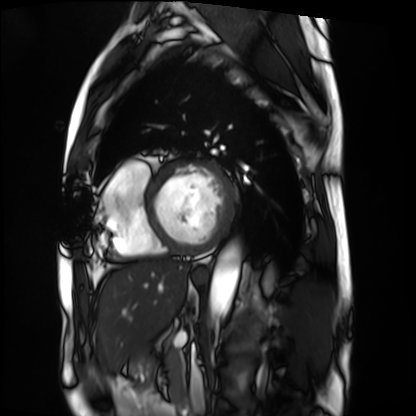
Cardiac MRI. Subject group: patient.